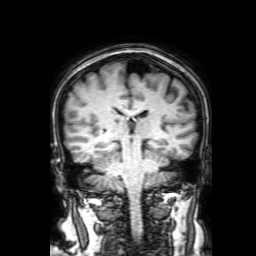
Q: What kind of scan is this?
A: 3 Tesla brain MRI.
Q: Series?
A: 3D T1-weighted with SENSE.
Study: ring-enhancing brain masses.